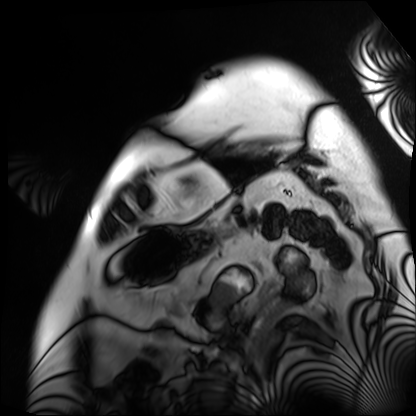
Cardiac MRI. Subject group: patient.